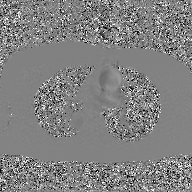
– modality: 2D phase-contrast cine MRI of the ascending aorta, GAN super-resolution reconstruction